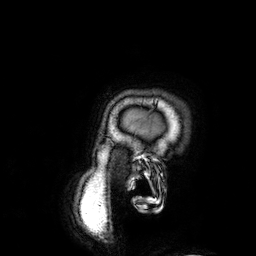
Summary: 3 Tesla brain MRI. Series: 3D T1-weighted. Study: ring-enhancing brain masses.